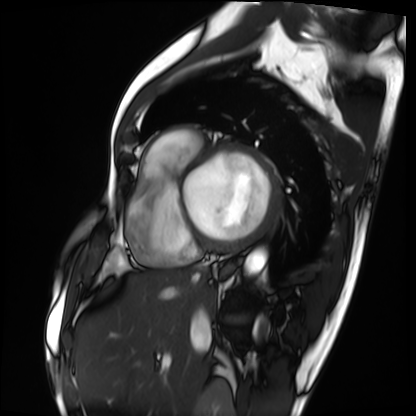
modality: cardiac MRI | subject group: patient.